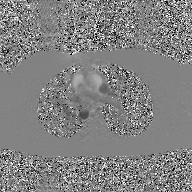
modality=2D phase-contrast cine MRI of the ascending aorta, GAN super-resolution reconstruction.